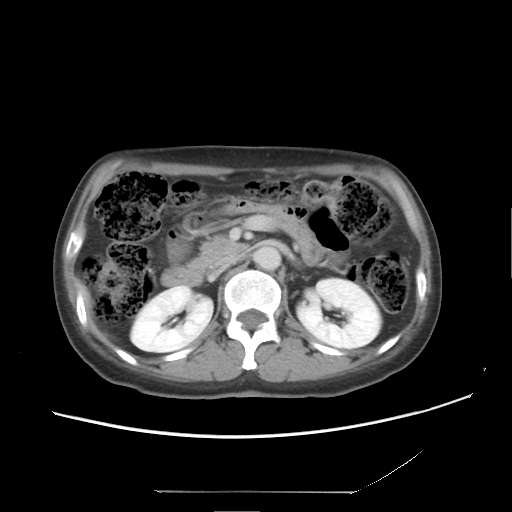
Multiphase abdominal CT, liver, delayed phase. Patient: female, age 53.